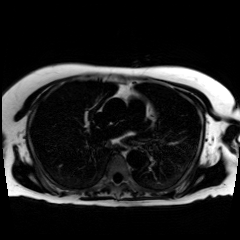
• modality: chemical-shift-encoded cardiac MRI